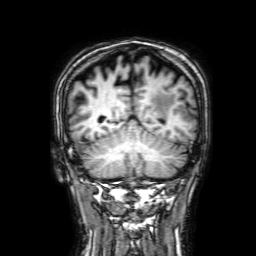
3 Tesla brain MRI. Series: 3D T1-weighted with SENSE. Study: ring-enhancing brain masses.